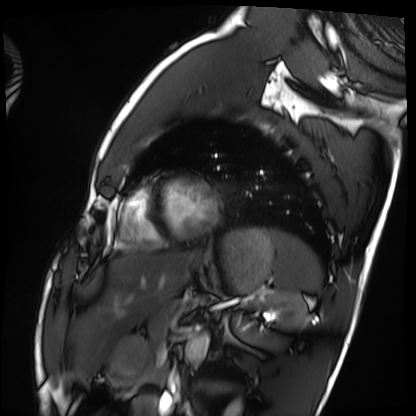
Cardiac MRI.
Subject group: healthy volunteer.